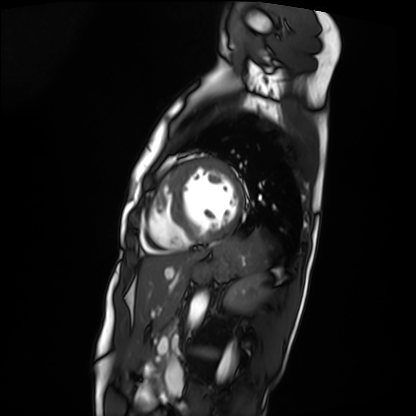
Cardiac MRI. Subject group: patient.